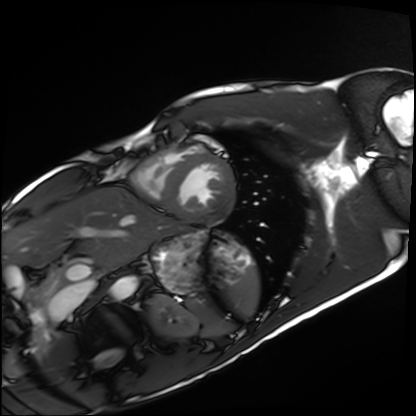
<record>
  <modality>cardiac MRI</modality>
  <cohort>healthy volunteer</cohort>
</record>